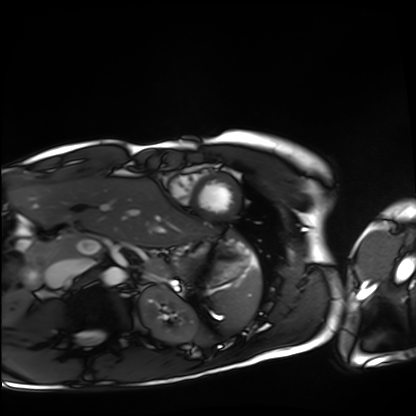
Cardiac MRI. Subject group: healthy volunteer.